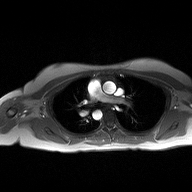
Summary: 2D phase-contrast cine MRI of the ascending aorta, high-resolution GRAPPA acquisition.